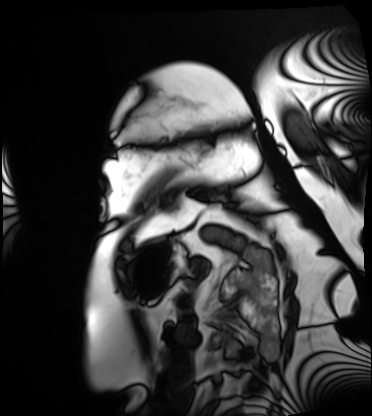
Cardiac MRI.
Subject group: patient.